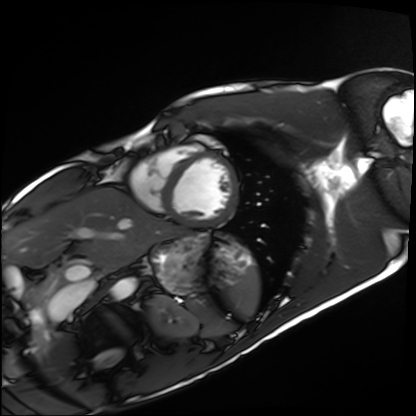
- modality — cardiac MRI
- subject group — healthy volunteer